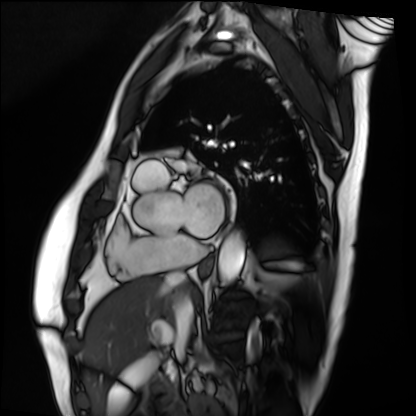
Cardiac MRI.
Subject group: patient.